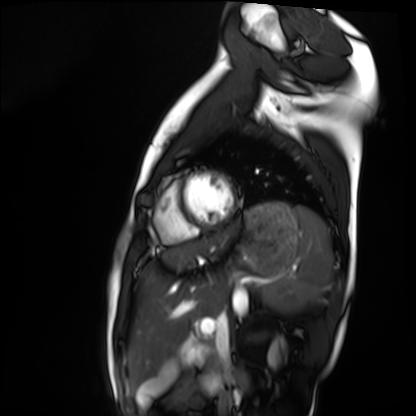
modality = cardiac MRI; subject group = healthy volunteer.